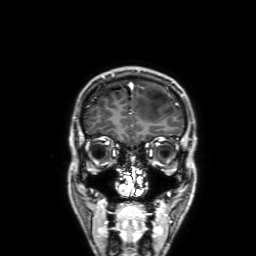
Summary: 3 Tesla brain MRI. Series: 3D T1-weighted with SENSE. Study: ring-enhancing brain masses.